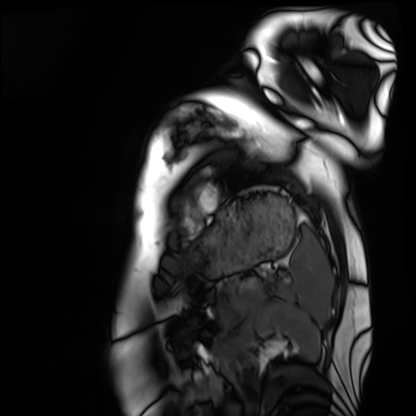
Cardiac MRI. Subject group: healthy volunteer.